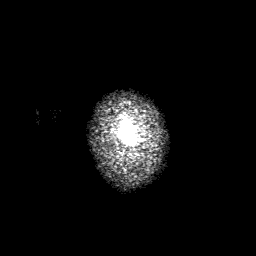
3 Tesla brain MRI.
Series: 3D T1-weighted with SENSE.
Study: ring-enhancing brain masses.